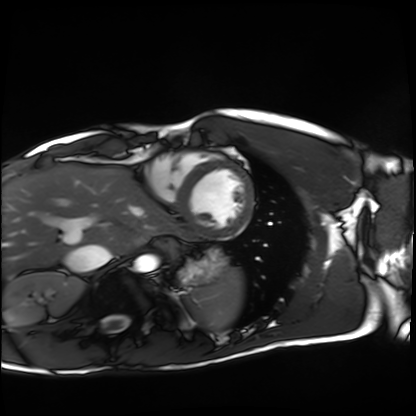
Cardiac MRI. Subject group: healthy volunteer.